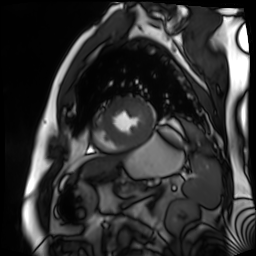
Cardiac MR image of the myocardium. Subject cohort: cardiac patient.